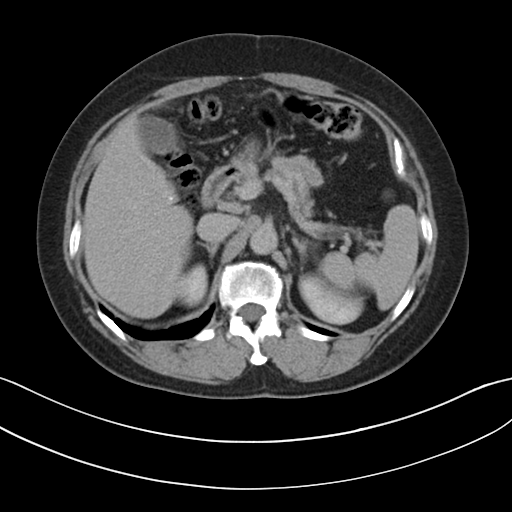
Q: What kind of scan is this?
A: Multiphase abdominal CT, liver, delayed phase.
Q: Patient?
A: Female, age 57.
Q: History?
A: Viral hepatitis.